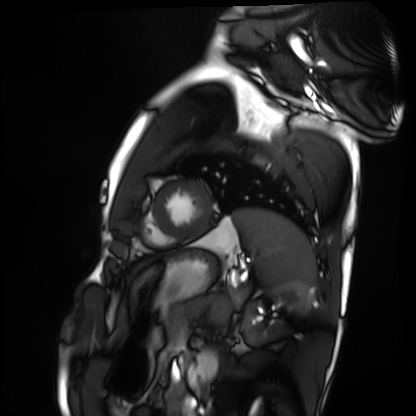
modality: cardiac MRI; subject group: healthy volunteer.